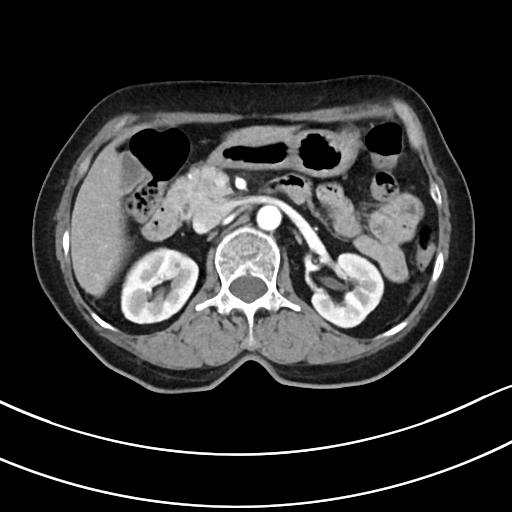
  modality:
    type: multiphase abdominal CT
    region: liver
    phase: arterial